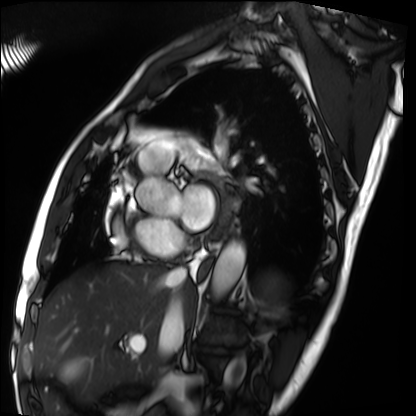
Cardiac MRI. Subject group: patient.